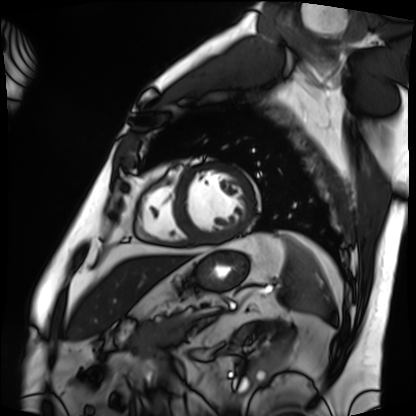
{
  "modality": "cardiac MRI",
  "cohort": "patient"
}